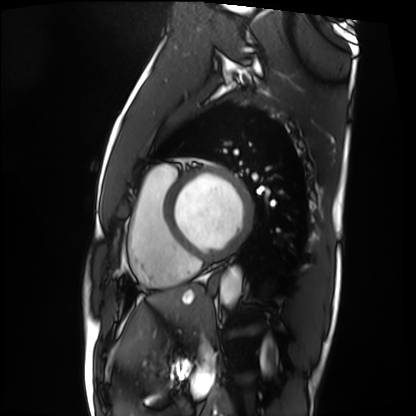
modality = cardiac MRI; subject group = patient.